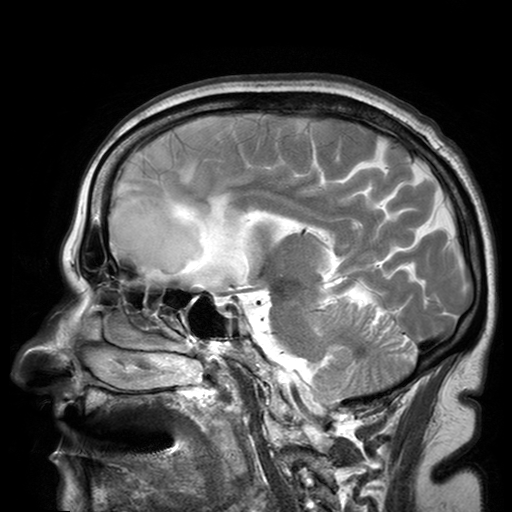
3 Tesla brain MRI.
Series: T2-weighted turbo spin echo with SENSE.
Study: ring-enhancing brain masses.